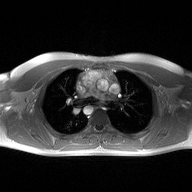
Summary:
2D phase-contrast cine MRI of the ascending aorta, high-resolution GRAPPA acquisition.